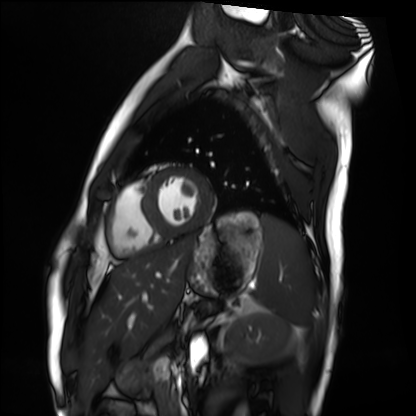
<scan>
  <modality>cardiac MRI</modality>
  <cohort>healthy volunteer</cohort>
</scan>